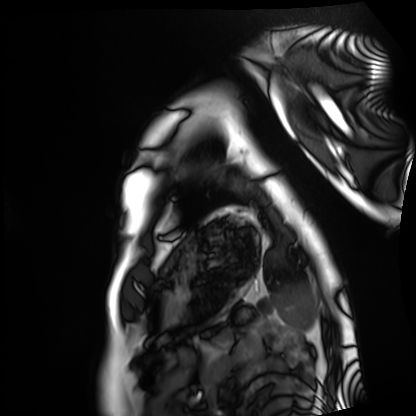
modality: cardiac MRI, subject group: healthy volunteer.